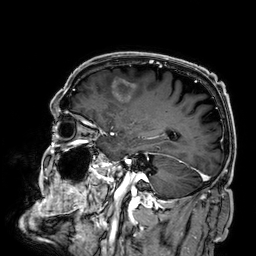
3 Tesla brain MRI.
Series: 3D T1-weighted.
Study: ring-enhancing brain masses.